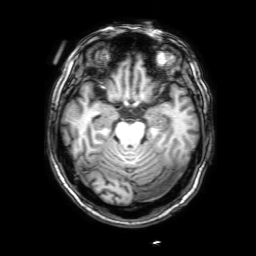
• modality — 3 Tesla brain MRI
• series — 3D T1-weighted with SENSE
• study — ring-enhancing brain masses